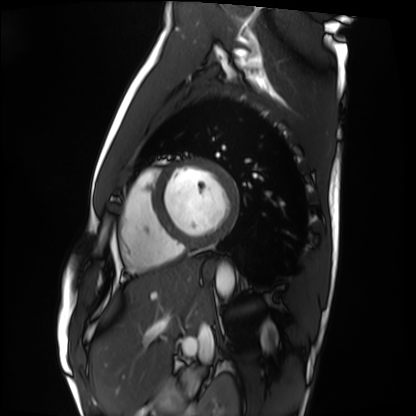
* modality — cardiac MRI
* subject group — healthy volunteer